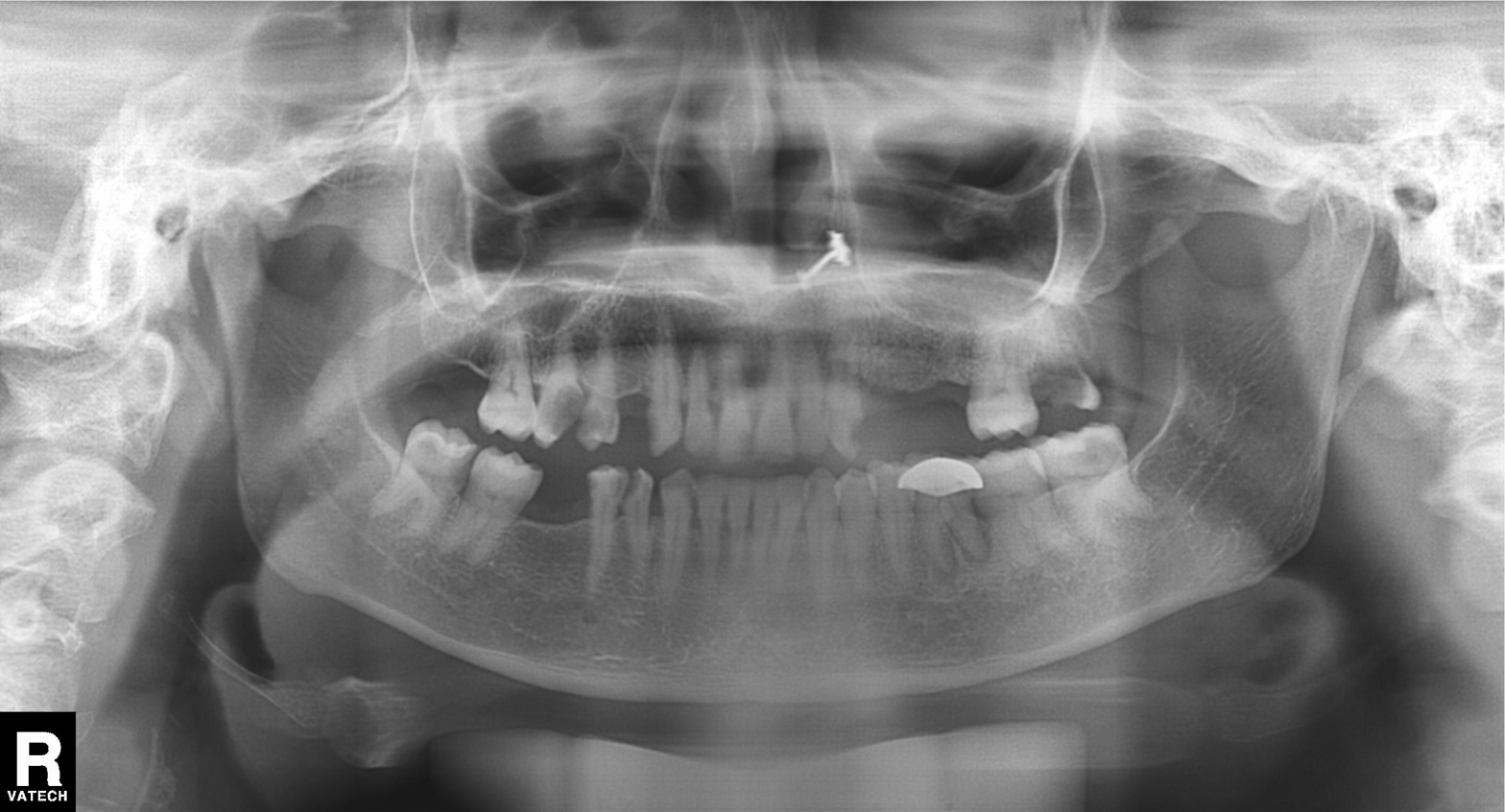
Panoramic dental radiograph (orthopantomogram).
Finding: dental caries (cavities).